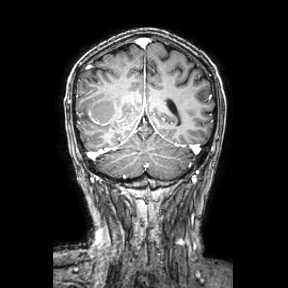
3 Tesla brain MRI. Series: coronal. Study: ring-enhancing brain masses.